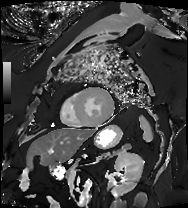
Clinical context:
Cardiac MRI. Subject group: patient.